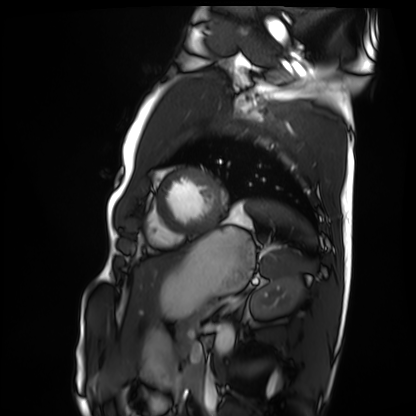
Cardiac MRI. Subject group: healthy volunteer.